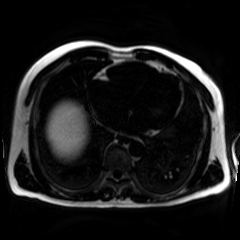
– modality: chemical-shift-encoded cardiac MRI